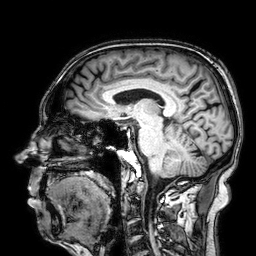
Q: What kind of scan is this?
A: 3 Tesla brain MRI.
Study: ring-enhancing brain masses.